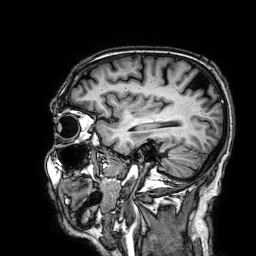
3 Tesla brain MRI. Series: 3D T1-weighted. Study: ring-enhancing brain masses.